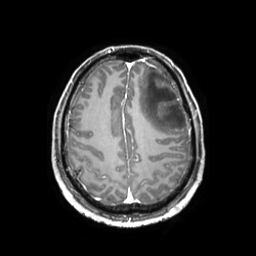
3 Tesla brain MRI. Series: 3D T1-weighted TFE with SENSE. Study: ring-enhancing brain masses.